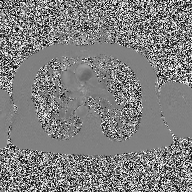
{"modality": {"type": "2D phase-contrast cine MRI", "region": "ascending aorta", "reconstruction": "high-resolution GRAPPA acquisition"}}